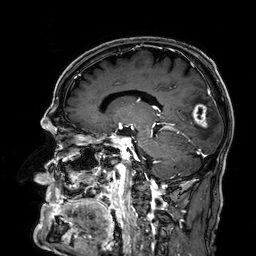
<case>
  <modality>
    <type>brain MRI</type>
    <field_strength>3T</field_strength>
  </modality>
  <series>3D T1-weighted</series>
  <study_topic>ring-enhancing brain masses</study_topic>
</case>